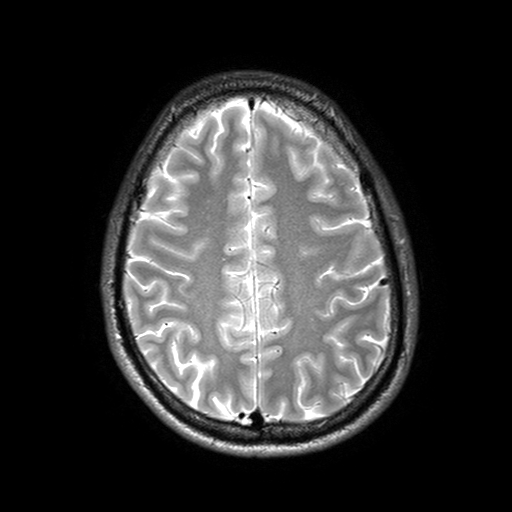
3 Tesla brain MRI.
Series: T2-weighted turbo spin echo with SENSE.
Study: ring-enhancing brain masses.